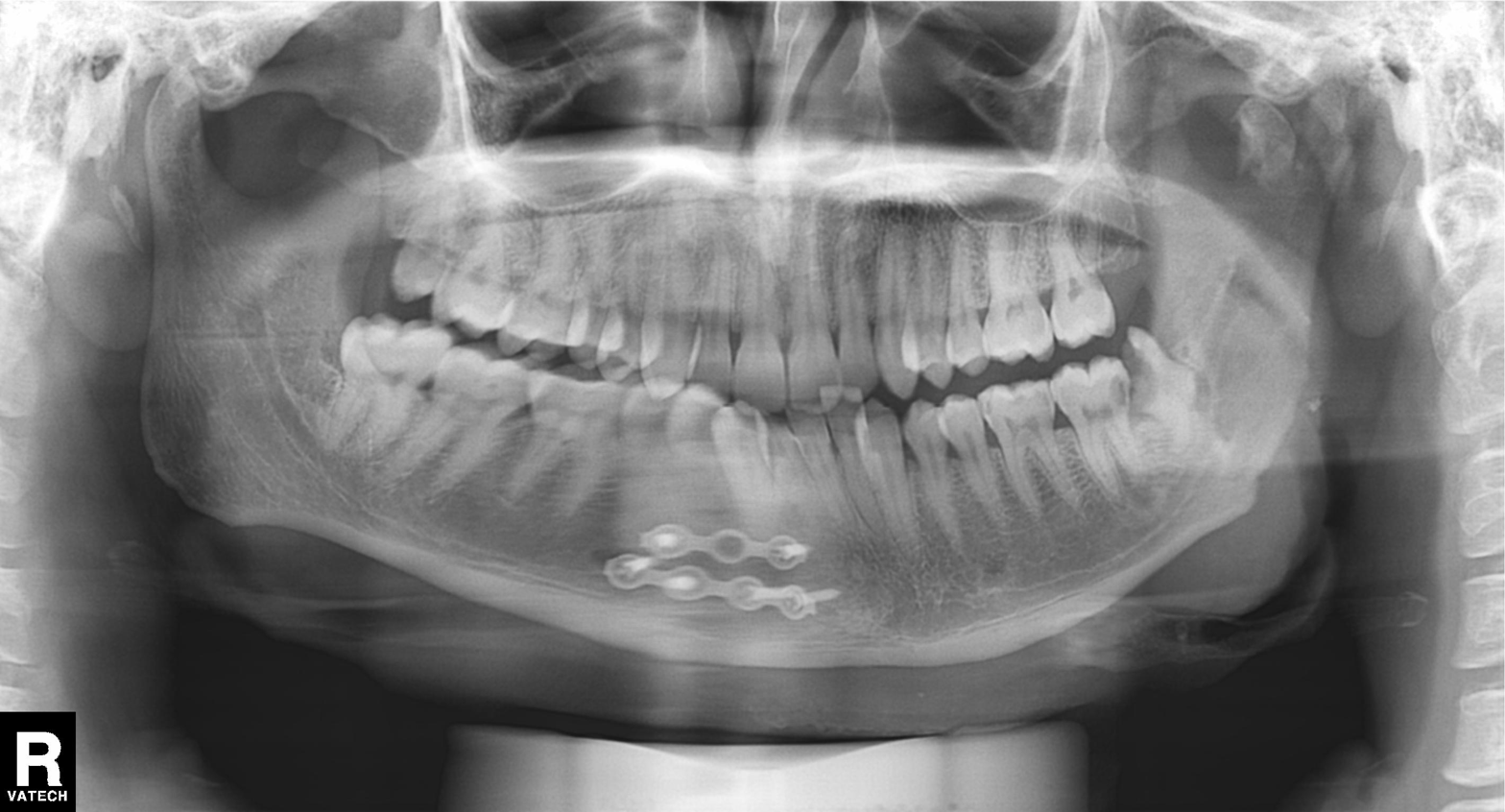
Clinical context: Panoramic dental radiograph (orthopantomogram).
Conclusion: Alveolar bone loss.